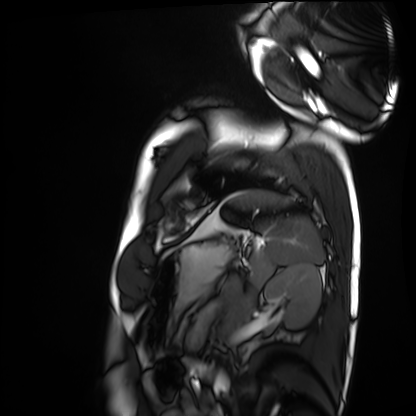
Cardiac MRI.
Subject group: healthy volunteer.